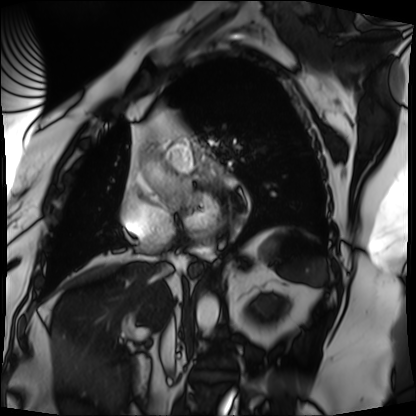
Clinical context:
Cardiac MRI. Subject group: patient.